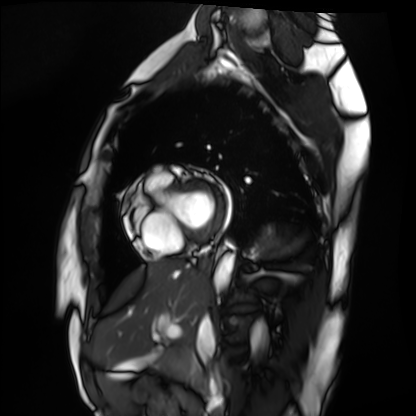
modality = cardiac MRI, subject group = healthy volunteer.